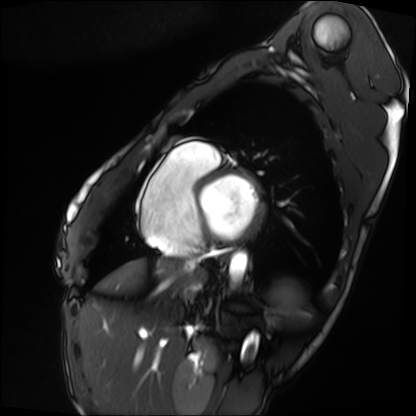
{
  "modality": "cardiac MRI",
  "cohort": "patient"
}